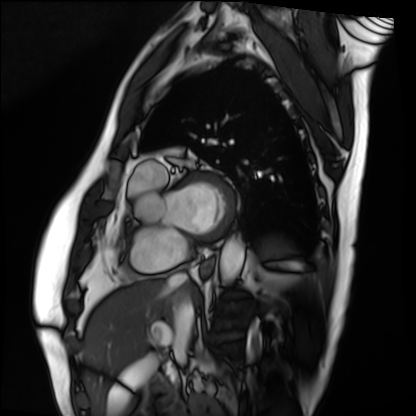
modality = cardiac MRI; subject group = patient.